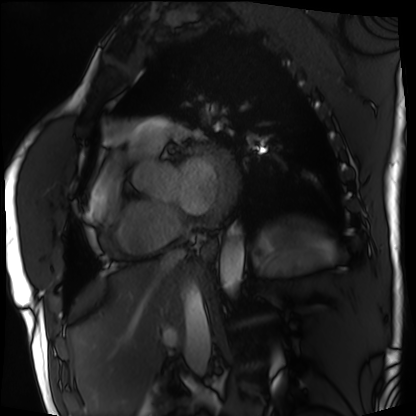
Q: What kind of scan is this?
A: Cardiac MRI.
Subject group: patient.